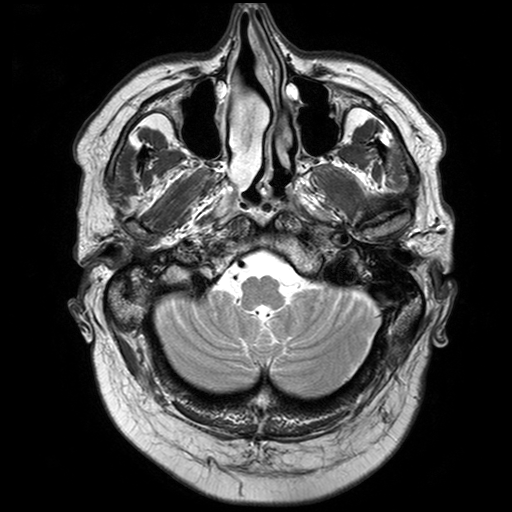
3 Tesla brain MRI. Series: T2-weighted turbo spin echo with SENSE. Study: ring-enhancing brain masses.